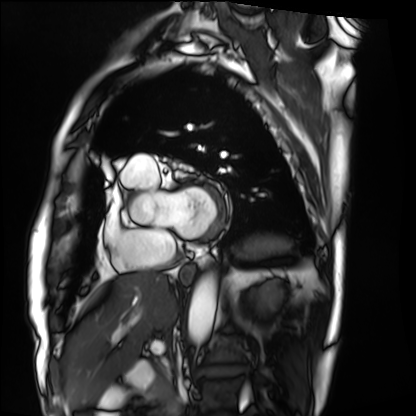
Cardiac MRI. Subject group: patient.